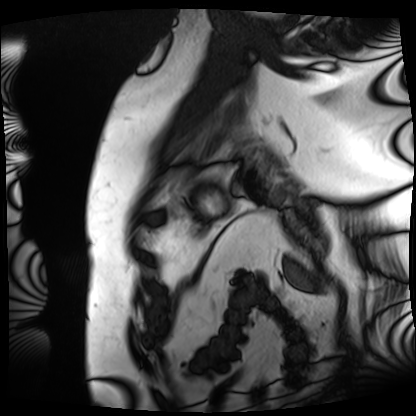
modality=cardiac MRI; subject group=patient.